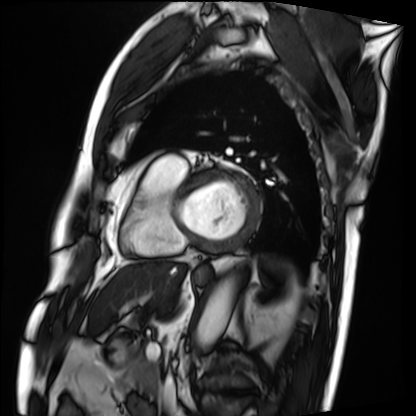
modality = cardiac MRI
subject group = patient